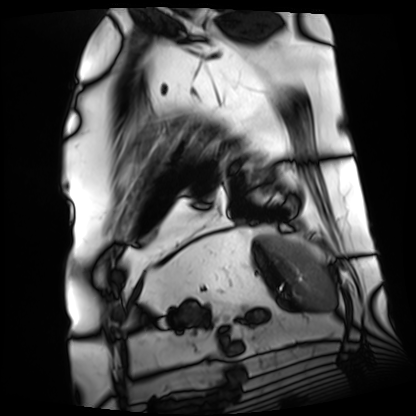
Case summary: Cardiac MRI. Subject group: patient.